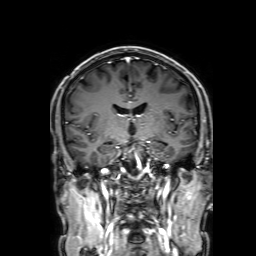
modality: 3 Tesla brain MRI; series: 3D T1-weighted with SENSE; study: ring-enhancing brain masses.